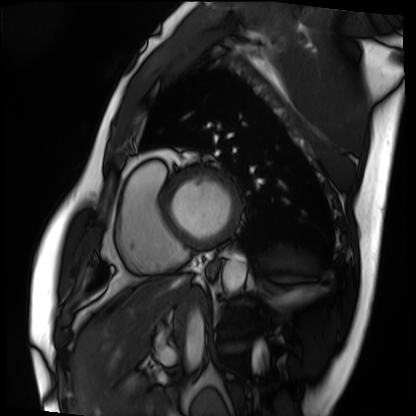
Cardiac MRI. Subject group: patient.